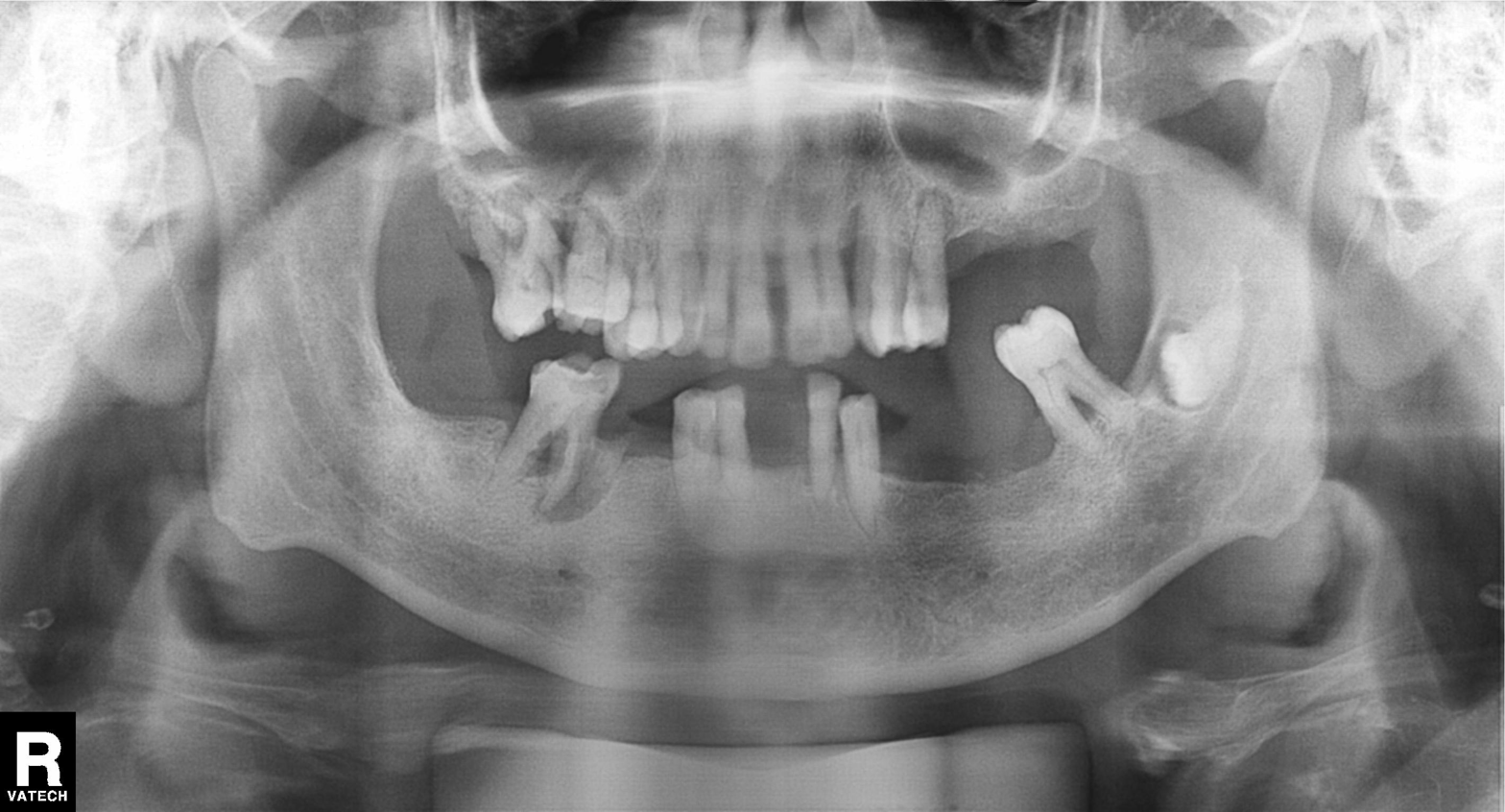
modality = panoramic dental radiograph (orthopantomogram) | finding = tooth impaction.